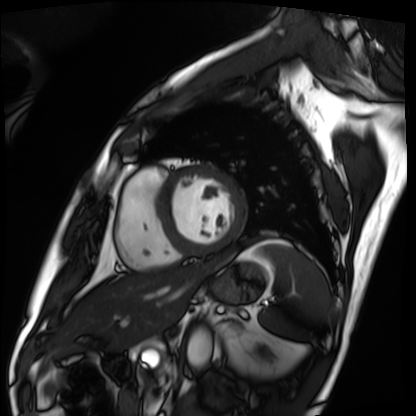
Cardiac MRI.
Subject group: patient.